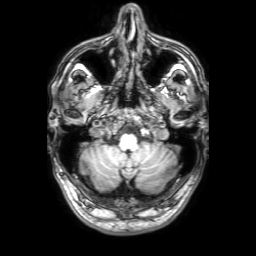
* modality: 3 Tesla brain MRI
* series: 3D T1-weighted with SENSE
* study: ring-enhancing brain masses